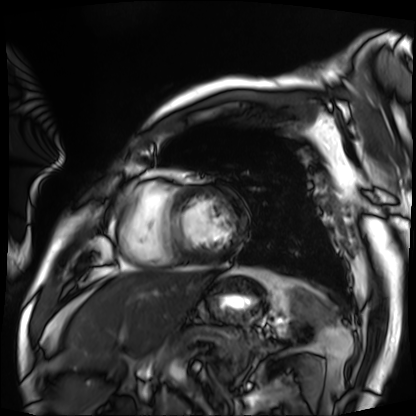
Case summary:
Cardiac MRI. Subject group: patient.